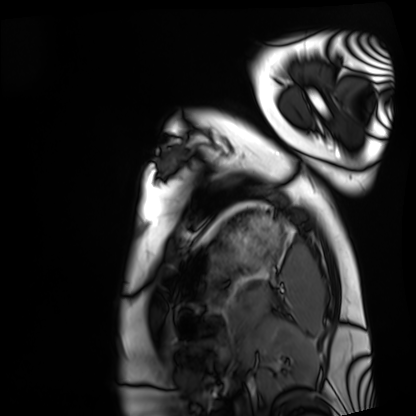
– modality · cardiac MRI
– subject group · healthy volunteer